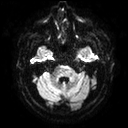
3 Tesla brain MRI.
Series: diffusion tensor imaging (medium iso).
Study: ring-enhancing brain masses.